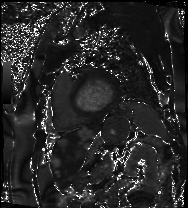
modality = cardiac MRI, subject group = patient.